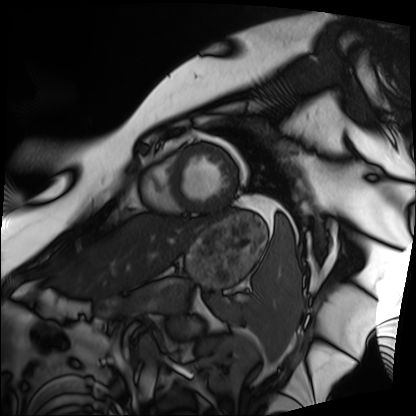
Summary: Cardiac MRI. Subject group: patient.